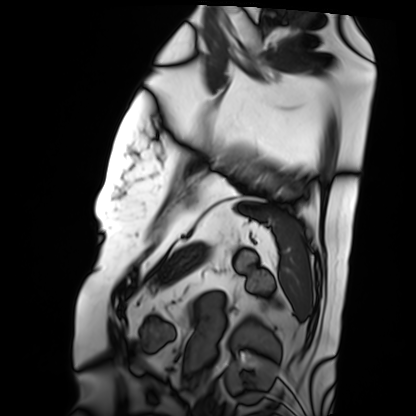
Q: What kind of scan is this?
A: Cardiac MRI.
Subject group: patient.